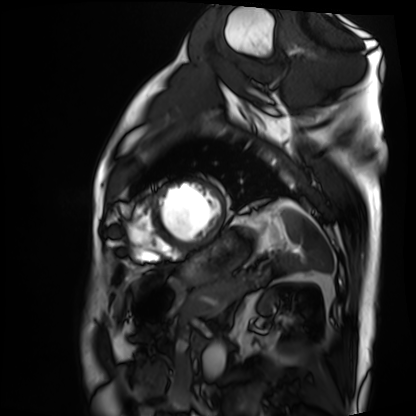
Clinical context: Cardiac MRI. Subject group: patient.